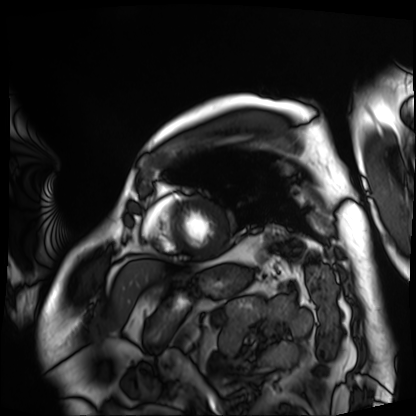
Cardiac MRI. Subject group: patient.